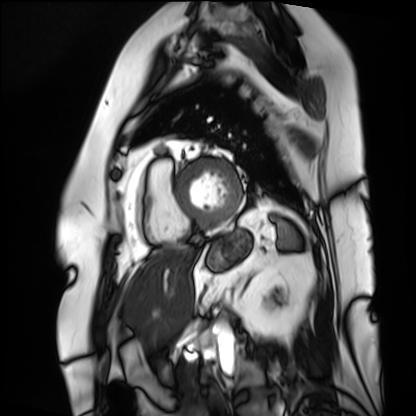
Cardiac MRI.
Subject group: patient.